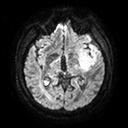
3 Tesla brain MRI.
Series: diffusion tensor imaging (medium iso).
Study: ring-enhancing brain masses.